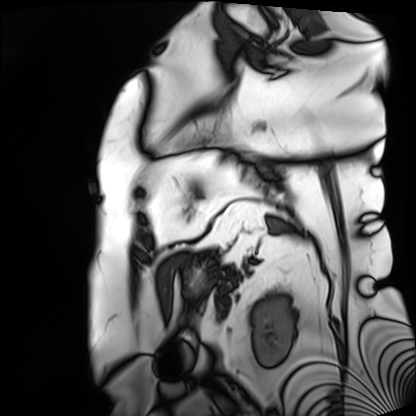
Q: What kind of scan is this?
A: Cardiac MRI.
Subject group: patient.